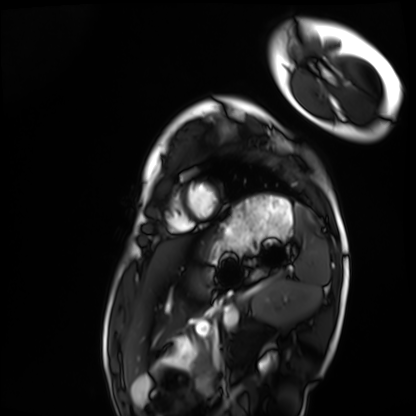
Cardiac MRI. Subject group: healthy volunteer.